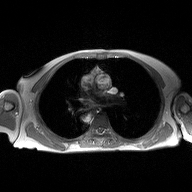
Summary:
2D phase-contrast cine MRI of the ascending aorta, high-resolution GRAPPA acquisition.